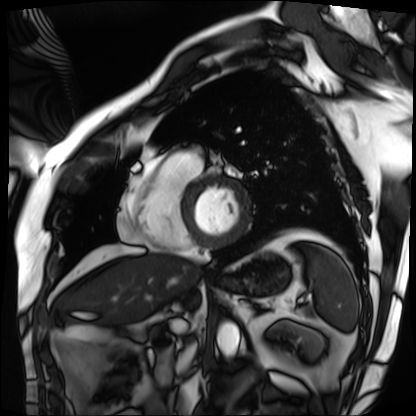
Summary:
Cardiac MRI. Subject group: patient.